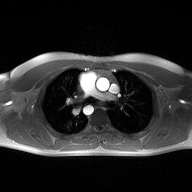
* modality · 2D phase-contrast cine MRI of the ascending aorta